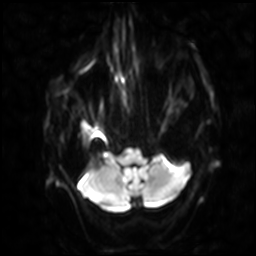
<scan>
  <modality>
    <type>brain MRI</type>
    <field_strength>3T</field_strength>
  </modality>
  <series>diffusion-weighted imaging with SENSE (WIP)</series>
  <study_topic>ring-enhancing brain masses</study_topic>
</scan>